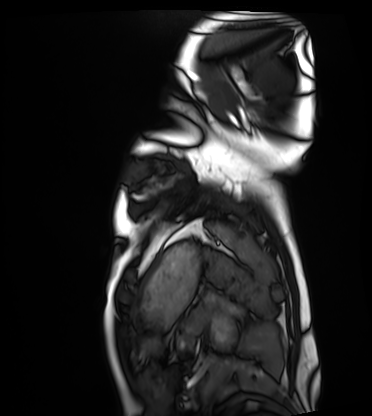
• modality: cardiac MRI
• subject group: healthy volunteer